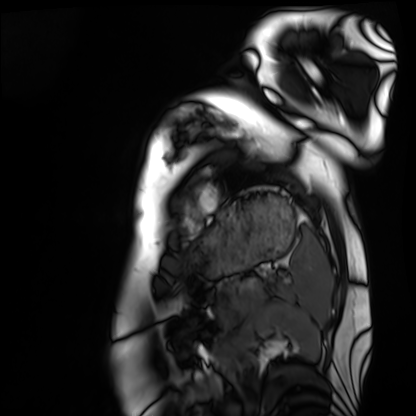
Cardiac MRI. Subject group: healthy volunteer.